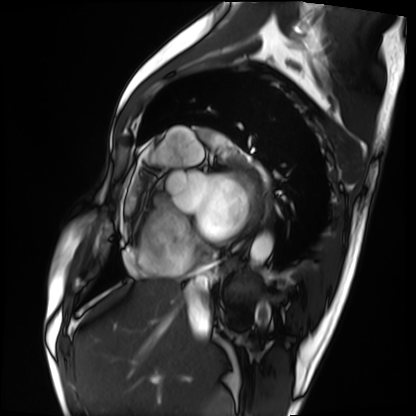
Q: What kind of scan is this?
A: Cardiac MRI.
Subject group: patient.